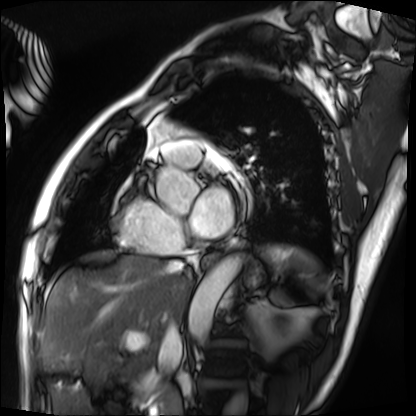
modality = cardiac MRI, subject group = patient.